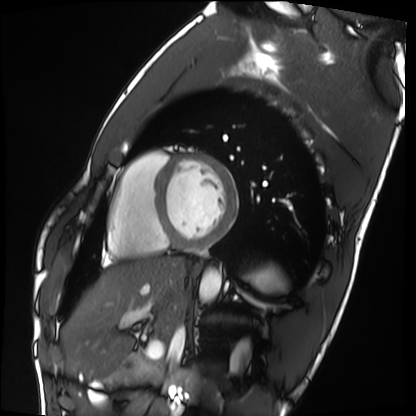
Cardiac MRI. Subject group: healthy volunteer.